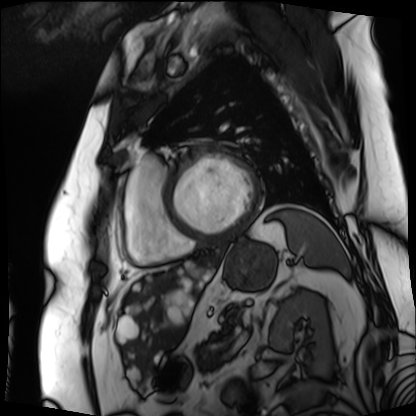
{"modality": "cardiac MRI", "cohort": "patient"}